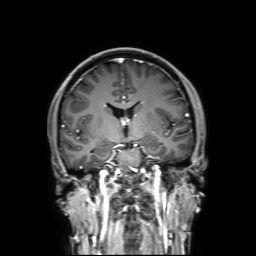
Clinical context: 3 Tesla brain MRI. Series: 3D T1-weighted with SENSE. Study: ring-enhancing brain masses.